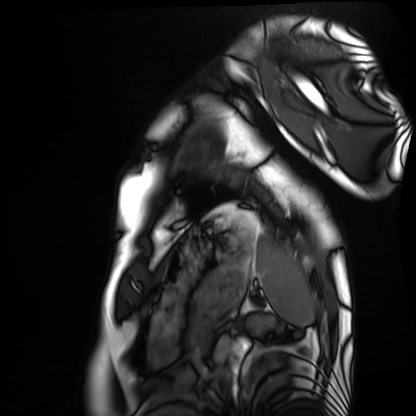
• modality — cardiac MRI
• subject group — healthy volunteer